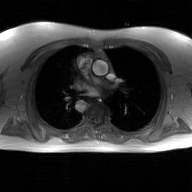
| field | value |
|---|---|
| modality | 2D phase-contrast cine MRI of the ascending aorta, GAN super-resolution reconstruction |